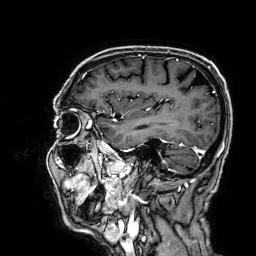
* modality: 3 Tesla brain MRI
* series: 3D T1-weighted
* study: ring-enhancing brain masses